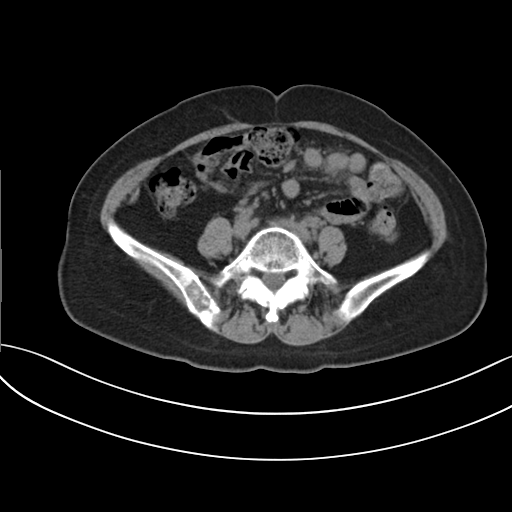
Multiphase abdominal CT, liver, non-contrast phase. Patient: female, age 56. History: prior chemotherapy.